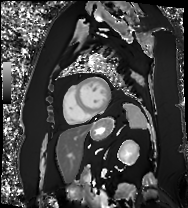
– modality: cardiac MRI
– subject group: patient